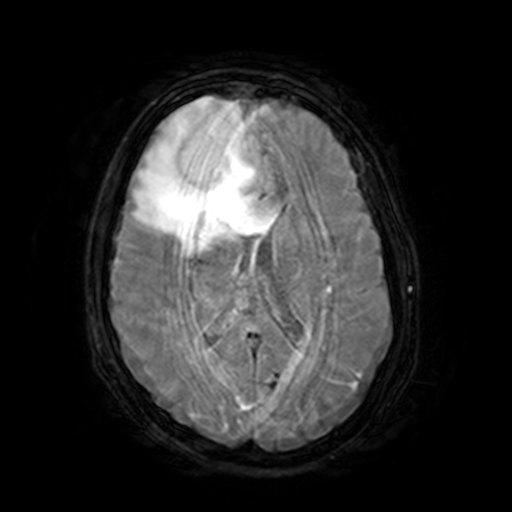
3 Tesla brain MRI. Series: FLAIR with SPAIR, 3 mm. Study: ring-enhancing brain masses.